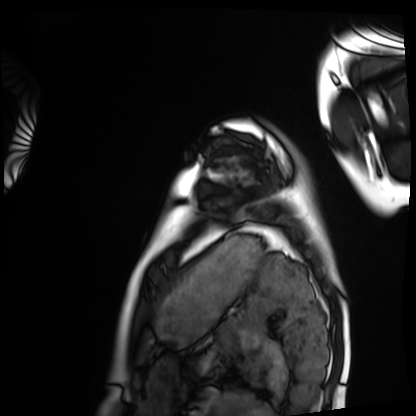
Cardiac MRI.
Subject group: healthy volunteer.